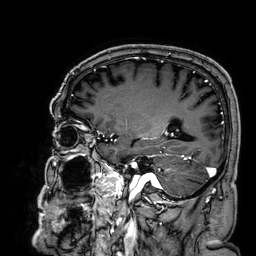
{"modality": {"type": "brain MRI", "field_strength": "3T"}, "series": "3D T1-weighted", "study_topic": "ring-enhancing brain masses"}